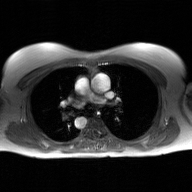
<record>
  <modality>
    <type>2D phase-contrast cine MRI</type>
    <region>ascending aorta</region>
    <reconstruction>GAN super-resolution reconstruction</reconstruction>
  </modality>
</record>